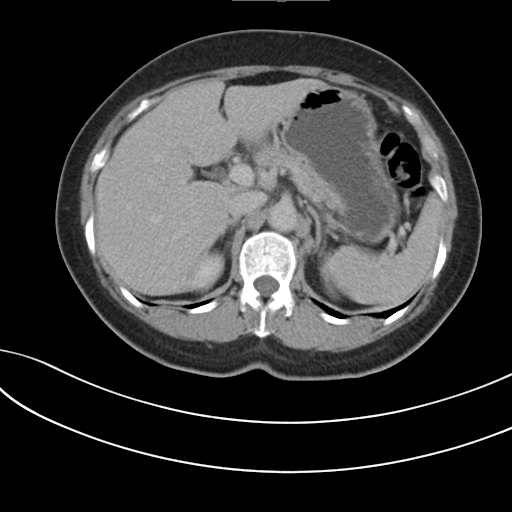
{"modality": {"type": "multiphase abdominal CT", "region": "liver", "phase": "delayed"}, "patient": {"sex": "female", "age": 60}, "history": ["prior chemotherapy"]}